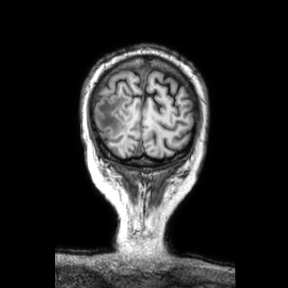
Summary:
3 Tesla brain MRI. Series: coronal. Study: ring-enhancing brain masses.